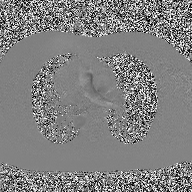
2D phase-contrast cine MRI of the ascending aorta, high-resolution GRAPPA acquisition.